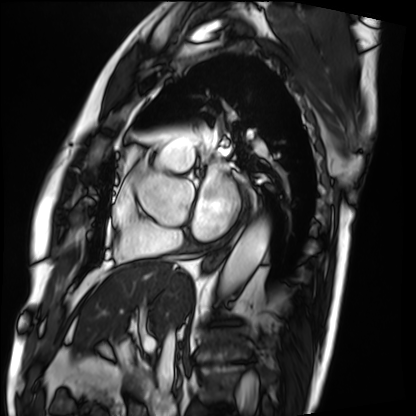
Summary:
Cardiac MRI. Subject group: patient.